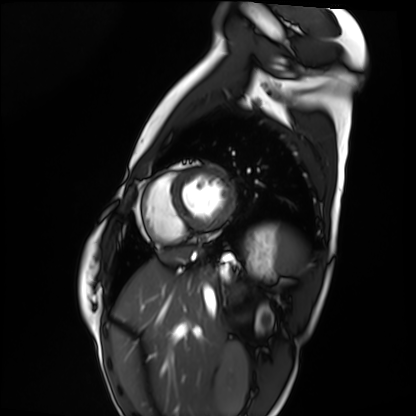
Clinical context:
Cardiac MRI. Subject group: healthy volunteer.